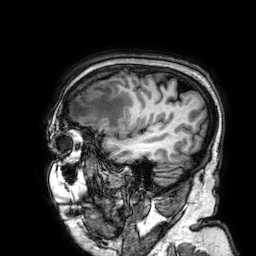
3 Tesla brain MRI.
Series: 3D T1-weighted.
Study: ring-enhancing brain masses.